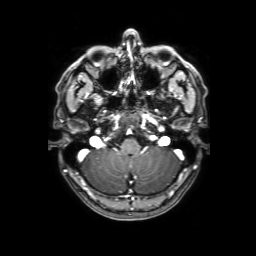
modality: 3 Tesla brain MRI
series: 3D T1-weighted with SENSE
study: ring-enhancing brain masses